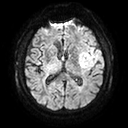
Case:
- modality: 3 Tesla brain MRI
- series: diffusion tensor imaging (medium iso)
- study: ring-enhancing brain masses